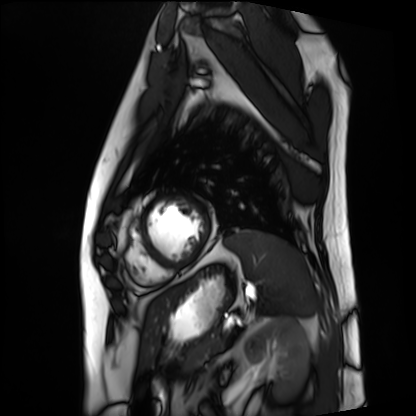
  modality: cardiac MRI
  cohort: patient